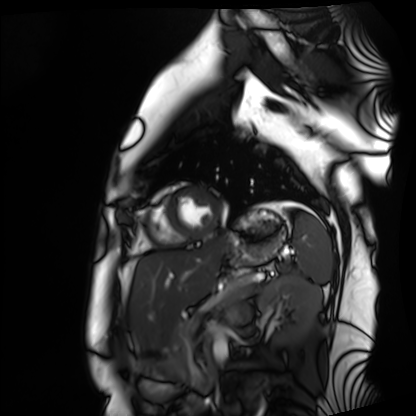
  modality: cardiac MRI
  cohort: healthy volunteer